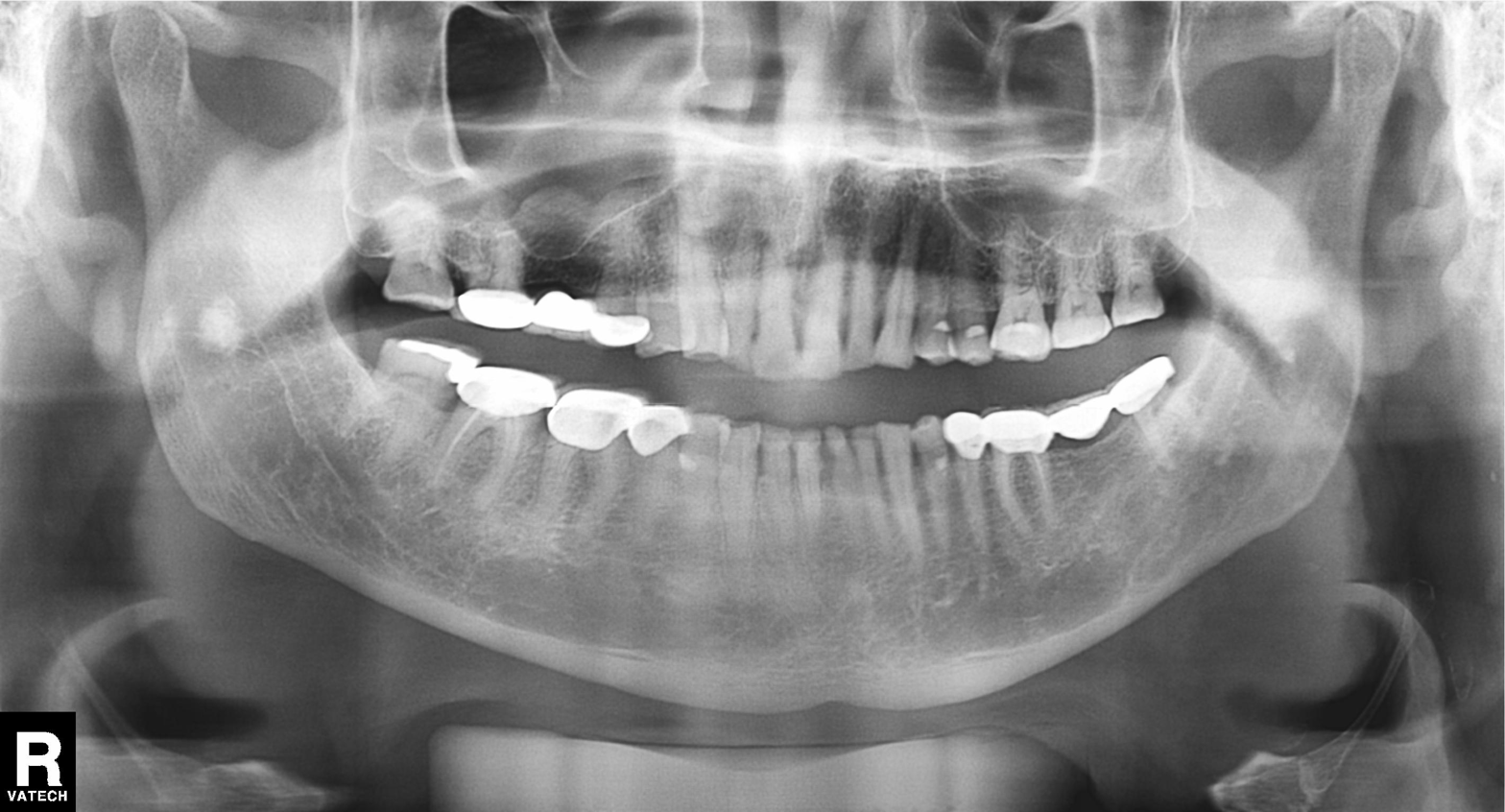
Case summary: Panoramic dental radiograph (orthopantomogram).
Diagnosis: Dental caries (cavities).